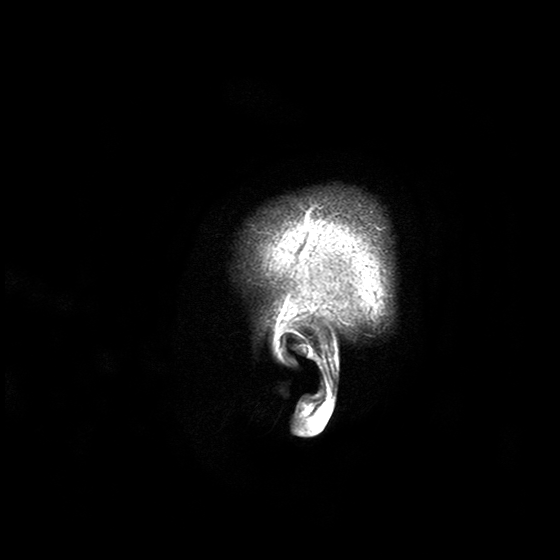
- modality · 3 Tesla brain MRI
- series · T2-weighted turbo spin echo with SENSE
- study · ring-enhancing brain masses